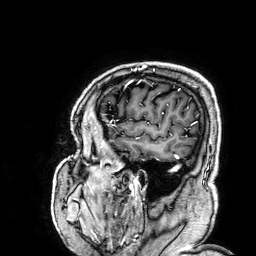
Q: What kind of scan is this?
A: 3 Tesla brain MRI.
Q: Series?
A: 3D T1-weighted.
Study: ring-enhancing brain masses.